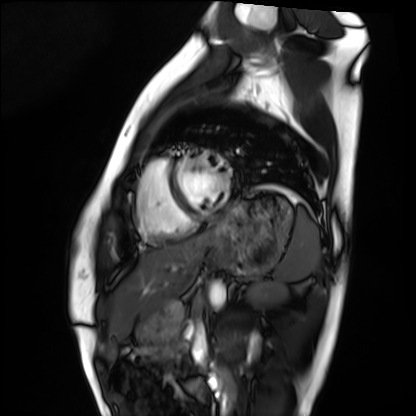
Case:
– modality · cardiac MRI
– subject group · healthy volunteer